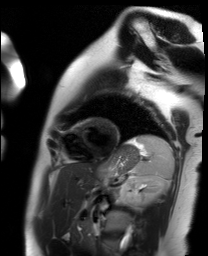
| field | value |
|---|---|
| modality | cardiac MR image of the myocardium |
| subject cohort | healthy volunteer |